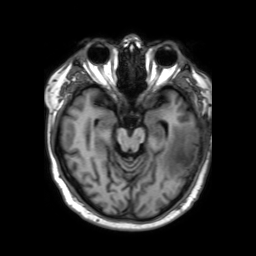
modality:
  type: brain MRI
  field_strength: 3T
series: 3D T1-weighted TFE with SENSE
study_topic: ring-enhancing brain masses